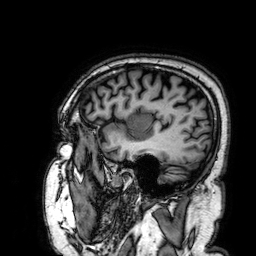
modality — 3 Tesla brain MRI | study — ring-enhancing brain masses.